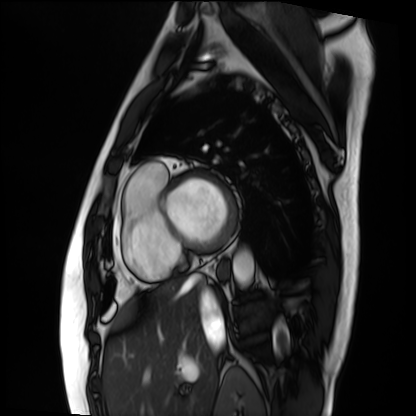
• modality — cardiac MRI
• subject group — patient